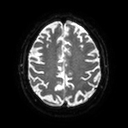
{
  "modality": {
    "type": "brain MRI",
    "field_strength": "3T"
  },
  "series": "diffusion tensor imaging (medium iso)",
  "study_topic": "ring-enhancing brain masses"
}